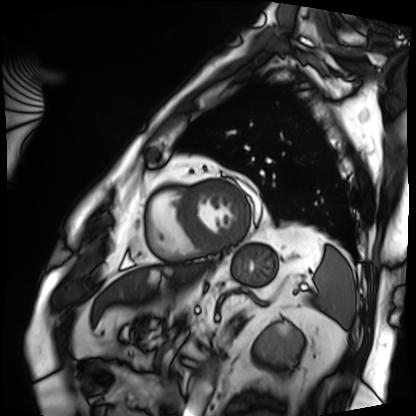
Cardiac MRI.
Subject group: patient.